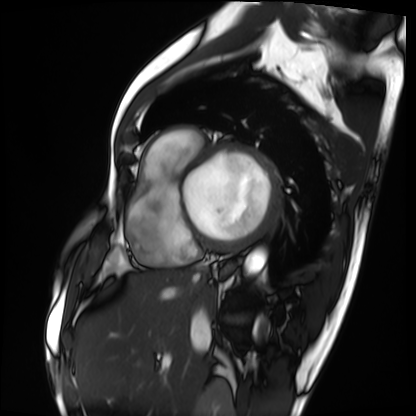
| field | value |
|---|---|
| modality | cardiac MRI |
| subject group | patient |